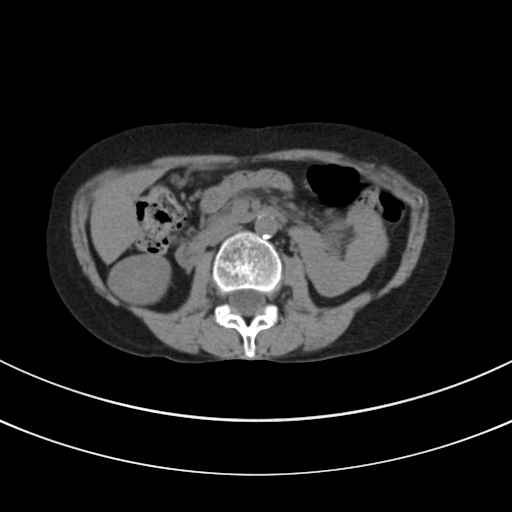
Q: What kind of scan is this?
A: Multiphase abdominal CT, liver, non-contrast phase.
Q: Patient?
A: Female, age 44.